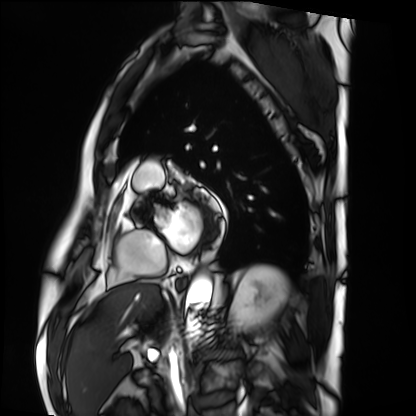
Q: What kind of scan is this?
A: Cardiac MRI.
Subject group: patient.